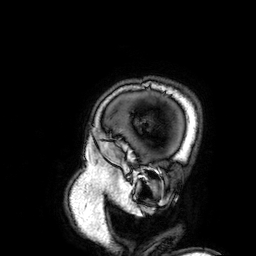
Q: What kind of scan is this?
A: 3 Tesla brain MRI.
Study: ring-enhancing brain masses.